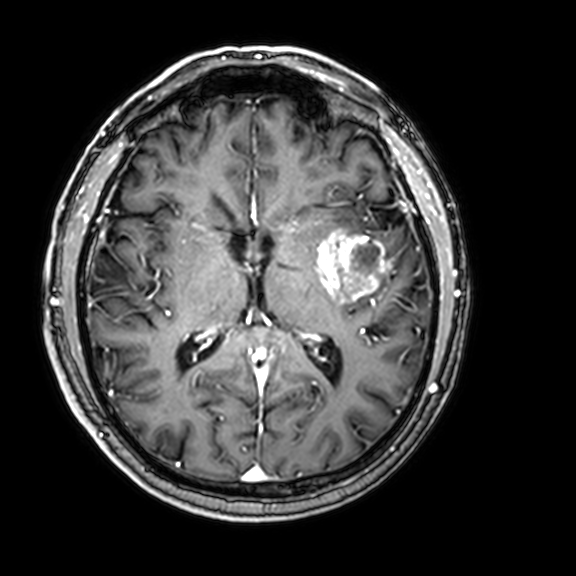
{"modality": {"type": "brain MRI", "field_strength": "3T"}, "series": "3D T1-weighted with CLEAR", "study_topic": "ring-enhancing brain masses"}